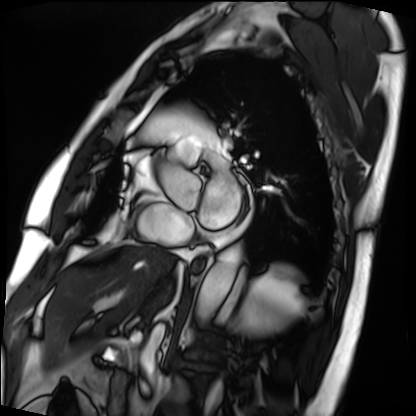
modality=cardiac MRI | subject group=patient.